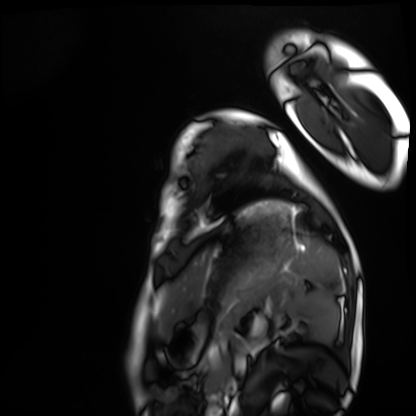
modality: cardiac MRI
cohort: healthy volunteer